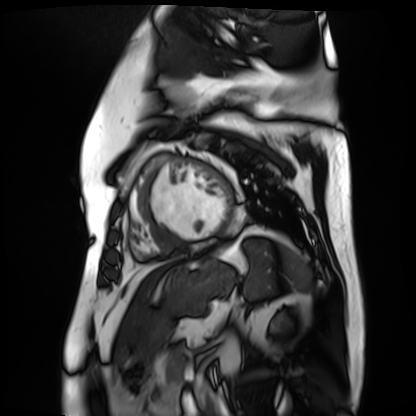
Cardiac MR image of the myocardium.
Subject cohort: cardiac patient.